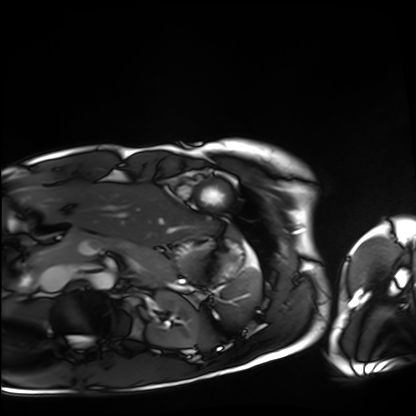
Case summary:
Cardiac MRI. Subject group: healthy volunteer.